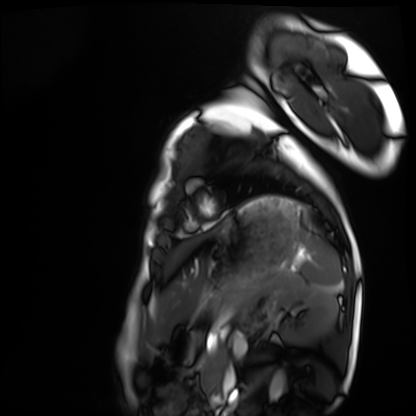
Clinical context:
Cardiac MRI. Subject group: healthy volunteer.